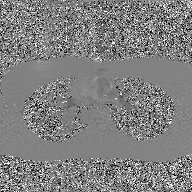
Case:
– modality — 2D phase-contrast cine MRI of the ascending aorta, GAN super-resolution reconstruction